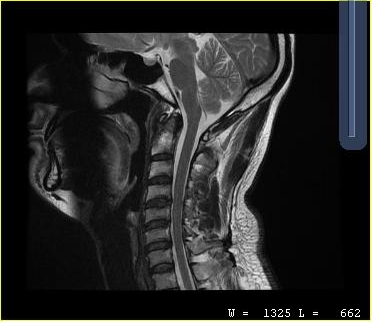
  modality:
    type: cervical spine MRI
  study_topic: cervical spondylosis